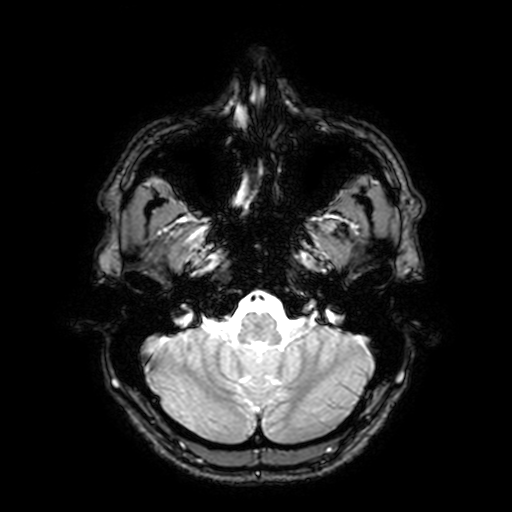
modality=3 Tesla brain MRI
series=T2-weighted fast field echo with SENSE
study=ring-enhancing brain masses